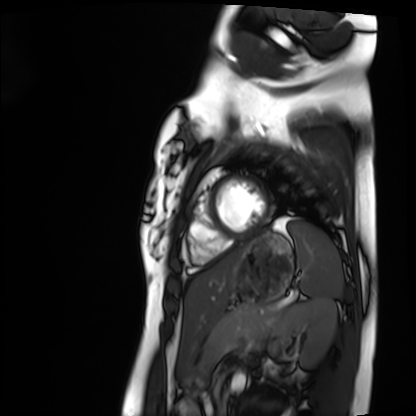
Case:
* modality — cardiac MRI
* subject group — healthy volunteer